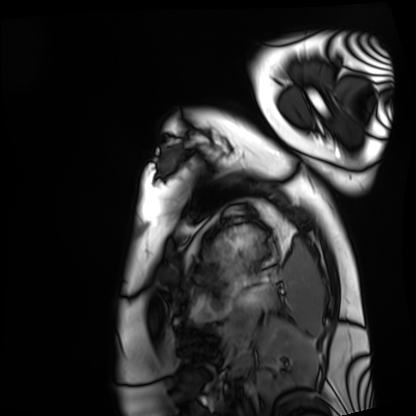
modality: cardiac MRI
subject group: healthy volunteer